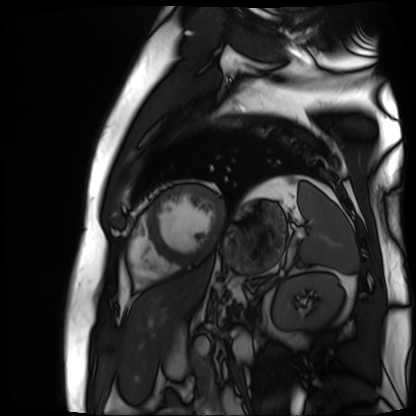
Summary:
Cardiac MR image of the myocardium. Subject cohort: cardiac patient.